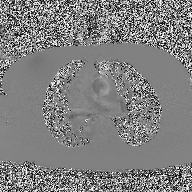
  modality:
    type: 2D phase-contrast cine MRI
    region: ascending aorta
    reconstruction: high-resolution GRAPPA acquisition